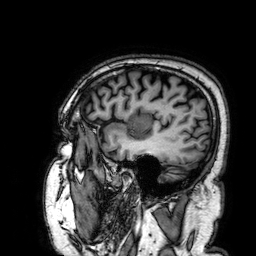
- modality — 3 Tesla brain MRI
- series — 3D T1-weighted
- study — ring-enhancing brain masses